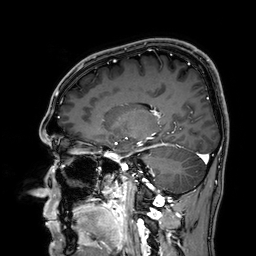
3 Tesla brain MRI. Series: 3D T1-weighted. Study: ring-enhancing brain masses.